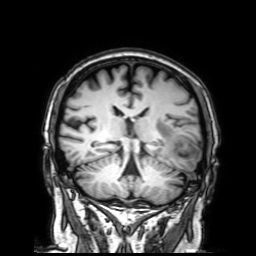
modality: 3 Tesla brain MRI
series: 3D T1-weighted with SENSE
study: ring-enhancing brain masses